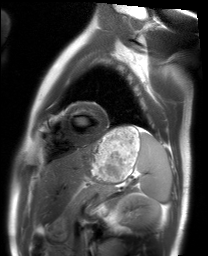
| field | value |
|---|---|
| modality | cardiac MRI |
| subject group | healthy volunteer |